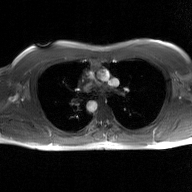
Clinical context: 2D phase-contrast cine MRI of the ascending aorta, GAN super-resolution reconstruction.